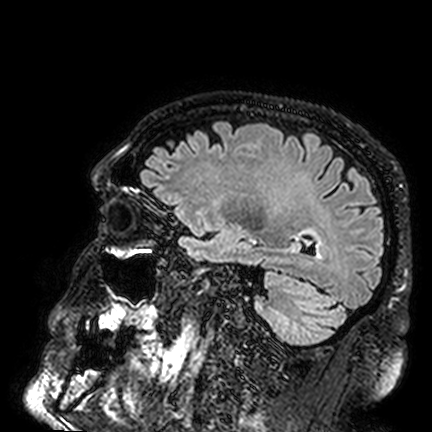
3 Tesla brain MRI. Study: ring-enhancing brain masses.